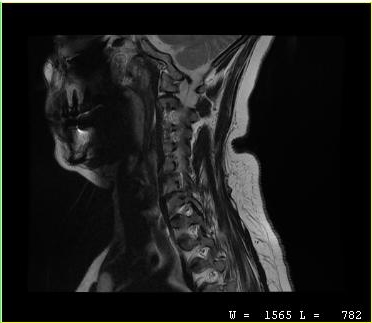
<case>
<modality>
  <type>cervical spine MRI</type>
</modality>
<study_topic>cervical spondylosis</study_topic>
</case>